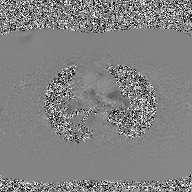
<case>
  <modality>
    <type>2D phase-contrast cine MRI</type>
    <region>ascending aorta</region>
    <reconstruction>GAN super-resolution reconstruction</reconstruction>
  </modality>
</case>